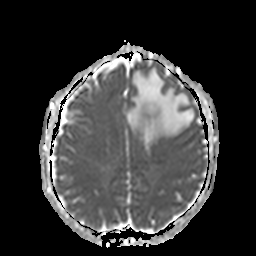
3 Tesla brain MRI. Series: apparent diffusion coefficient (ADC) map. Study: ring-enhancing brain masses.